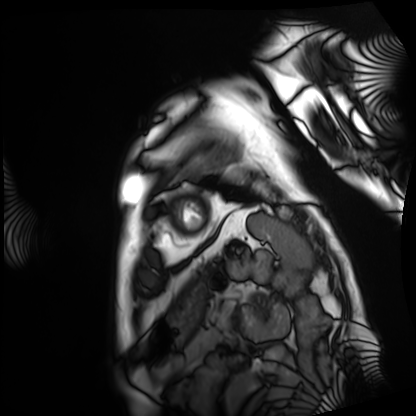
modality: cardiac MRI | subject group: patient.